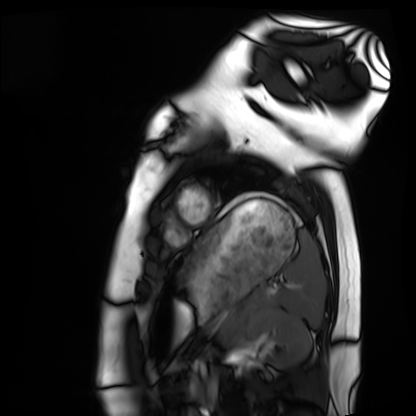
• modality · cardiac MRI
• subject group · healthy volunteer